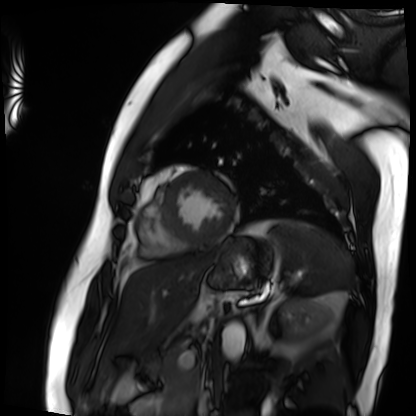
Cardiac MRI.
Subject group: patient.